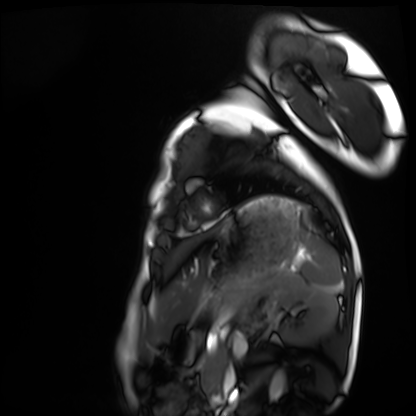
Summary: Cardiac MRI. Subject group: healthy volunteer.